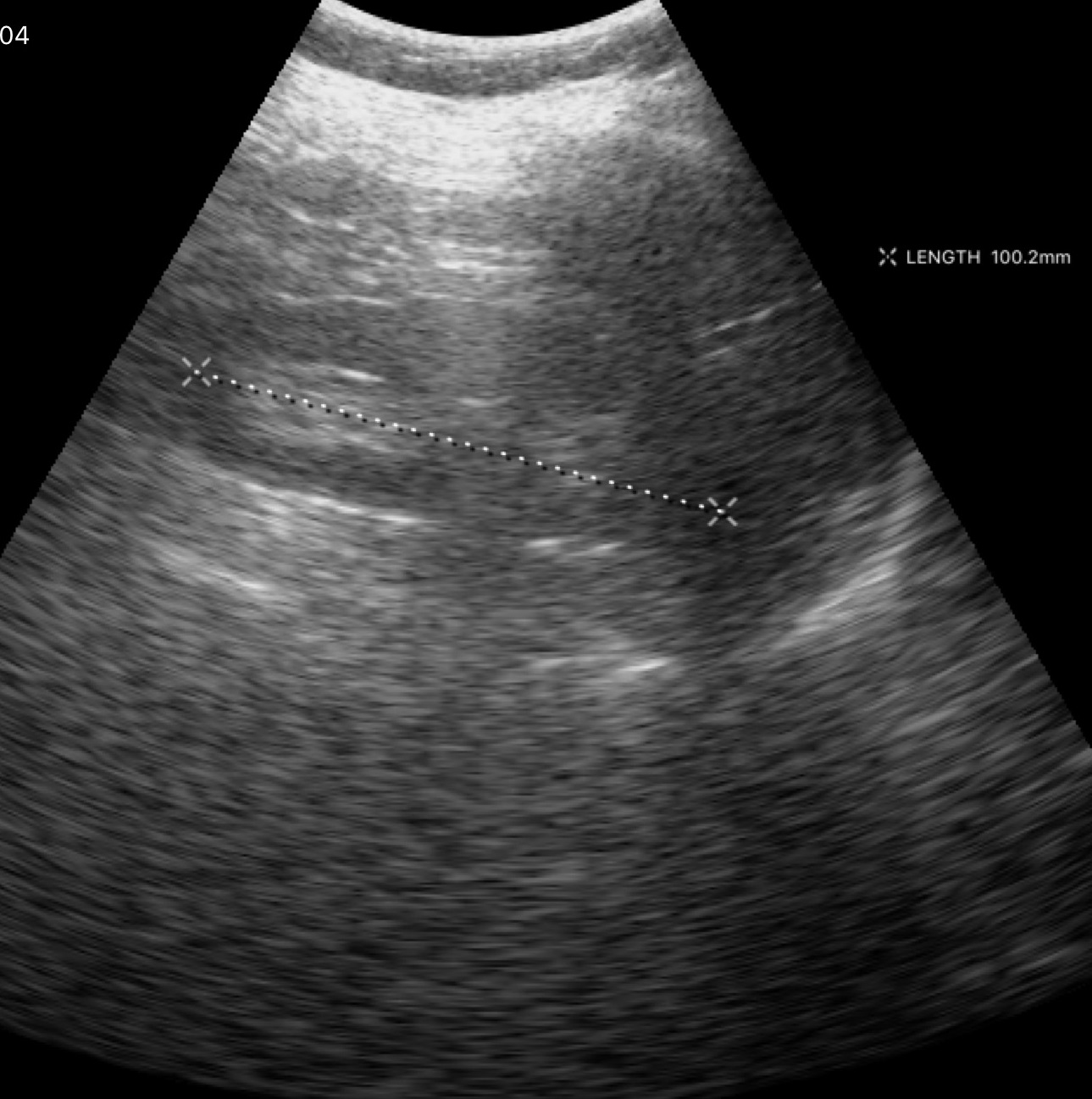
Genitourinary ultrasound.